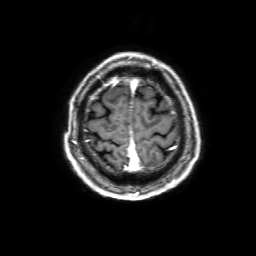
Q: What kind of scan is this?
A: 3 Tesla brain MRI.
Q: Series?
A: 3D T1-weighted with SENSE.
Study: ring-enhancing brain masses.